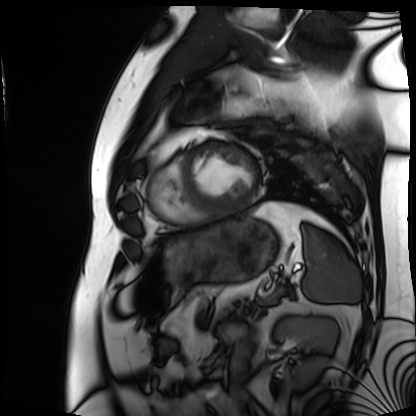
Case summary: Cardiac MRI. Subject group: patient.